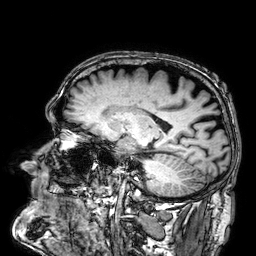
modality=3 Tesla brain MRI; series=3D T1-weighted; study=ring-enhancing brain masses.